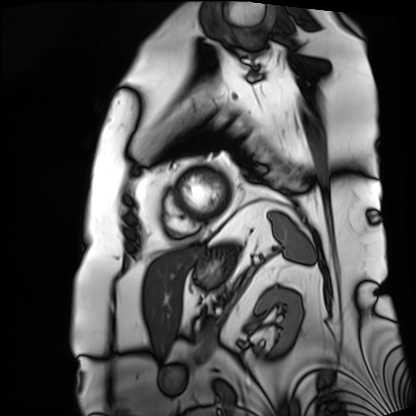
<case>
<modality>cardiac MRI</modality>
<cohort>patient</cohort>
</case>